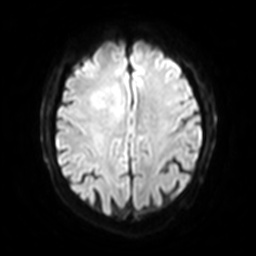
– modality — 3 Tesla brain MRI
– series — diffusion-weighted imaging with SENSE (WIP)
– study — ring-enhancing brain masses